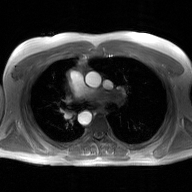
2D phase-contrast cine MRI of the ascending aorta, GAN super-resolution reconstruction.